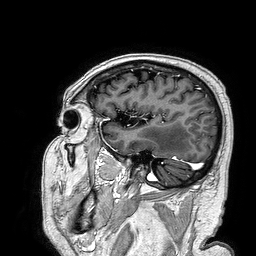
| field | value |
|---|---|
| modality | 3 Tesla brain MRI |
| series | 3D T1-weighted turbo field echo |
| study | ring-enhancing brain masses |